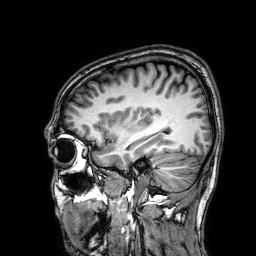
modality: 3 Tesla brain MRI; study: ring-enhancing brain masses.